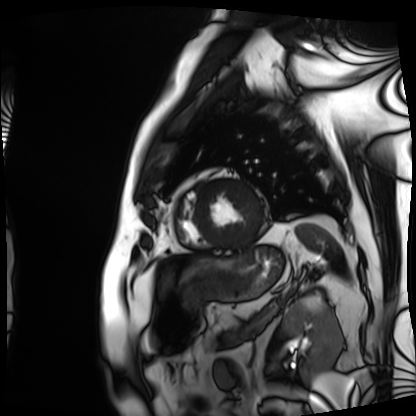
Cardiac MRI. Subject group: patient.